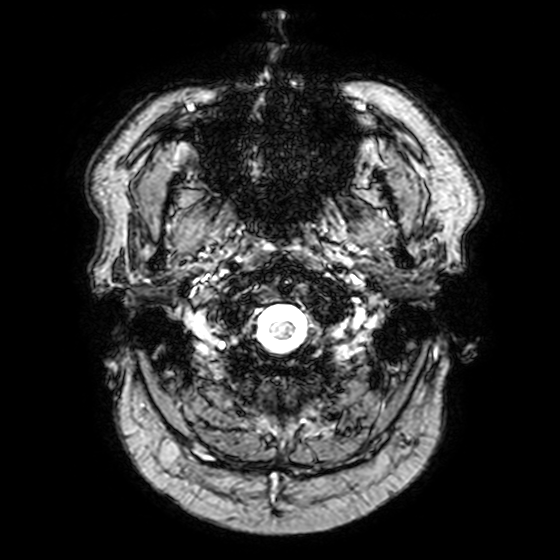
modality:
  type: brain MRI
  field_strength: 3T
study_topic: ring-enhancing brain masses